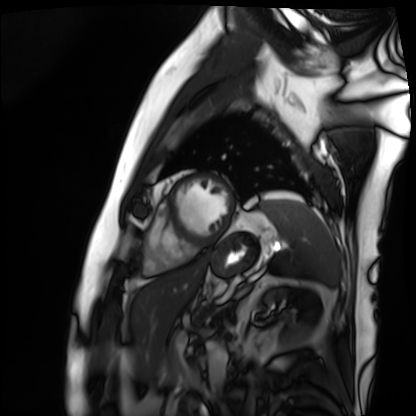
Clinical context: Cardiac MRI. Subject group: patient.